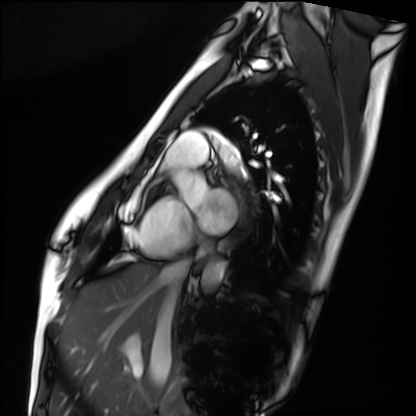
Case:
* modality · cardiac MRI
* subject group · healthy volunteer